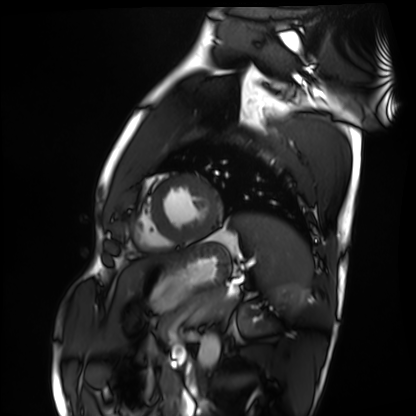
Clinical context:
Cardiac MRI. Subject group: healthy volunteer.